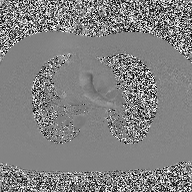
modality: 2D phase-contrast cine MRI of the ascending aorta